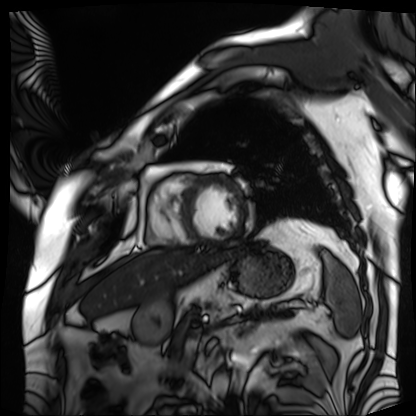
- modality — cardiac MRI
- subject group — patient